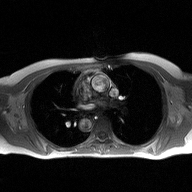
2D phase-contrast cine MRI of the ascending aorta, high-resolution GRAPPA acquisition.